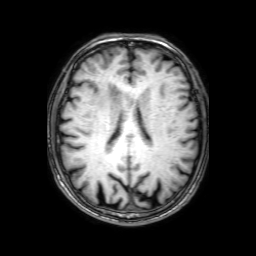
modality = 3 Tesla brain MRI; series = 3D T1-weighted with SENSE; study = ring-enhancing brain masses.